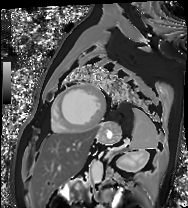
Cardiac MRI. Subject group: patient.